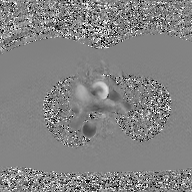
2D phase-contrast cine MRI of the ascending aorta, GAN super-resolution reconstruction.